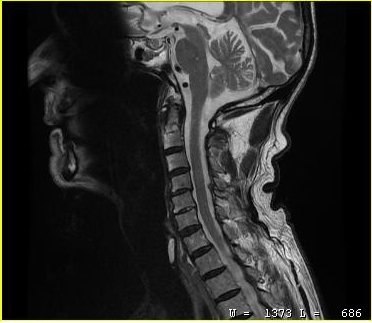
Case:
* modality: MRI of the cervical spine
* study: cervical spondylosis